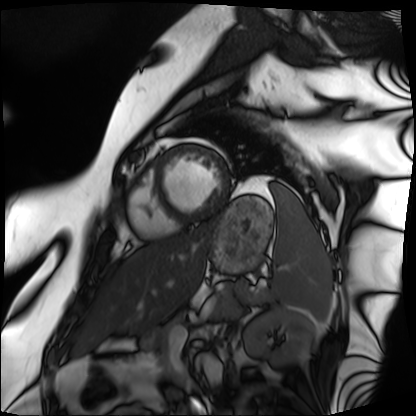
- modality · cardiac MRI
- subject group · patient